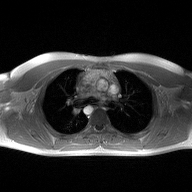
Clinical context:
2D phase-contrast cine MRI of the ascending aorta, high-resolution GRAPPA acquisition.